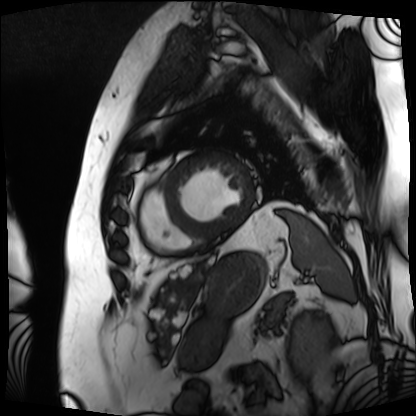
Summary: Cardiac MRI. Subject group: patient.